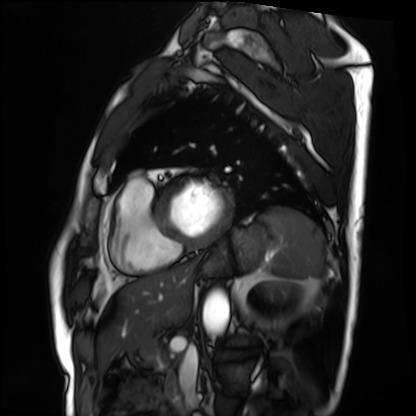
modality = cardiac MRI | subject group = patient.